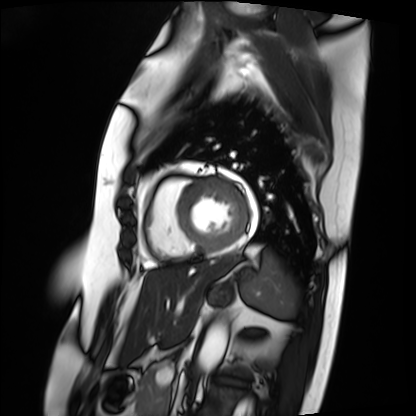
modality: cardiac MRI, subject group: patient.